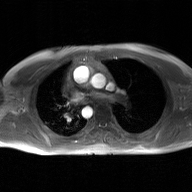
Case summary: 2D phase-contrast cine MRI of the ascending aorta, GAN super-resolution reconstruction.